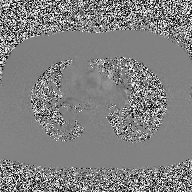
| field | value |
|---|---|
| modality | 2D phase-contrast cine MRI of the ascending aorta |